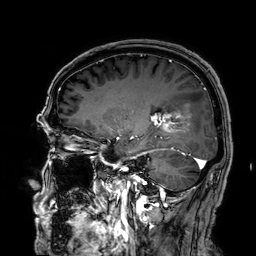
* modality — 3 Tesla brain MRI
* series — 3D T1-weighted
* study — ring-enhancing brain masses